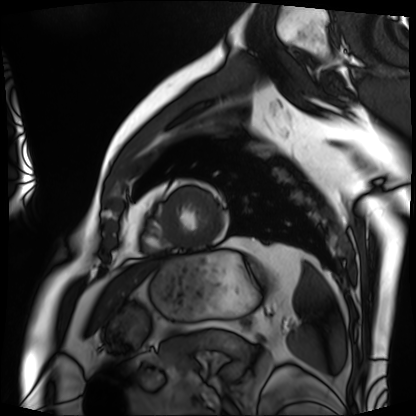
modality: cardiac MRI | subject group: patient.